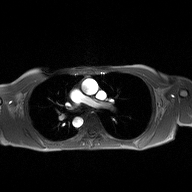
2D phase-contrast cine MRI of the ascending aorta, high-resolution GRAPPA acquisition.